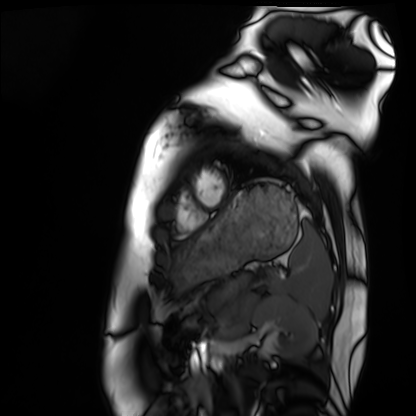
Cardiac MRI. Subject group: healthy volunteer.